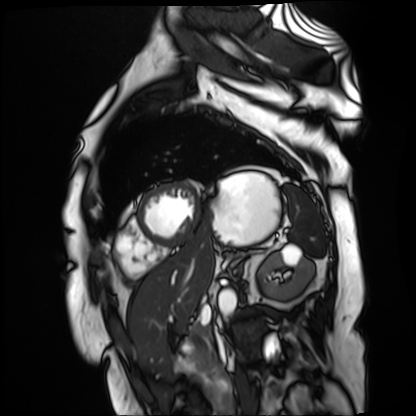
<scan>
  <modality>cardiac MR image of the myocardium</modality>
  <cohort>cardiac patient</cohort>
</scan>